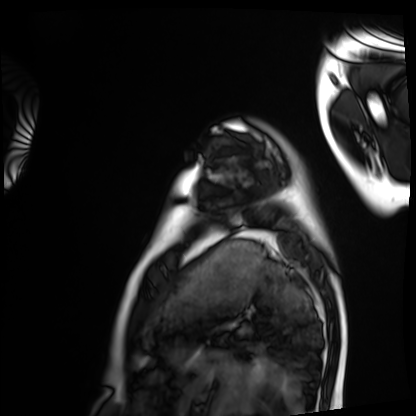
Summary: Cardiac MRI. Subject group: healthy volunteer.